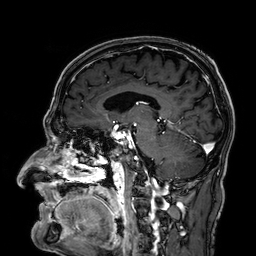
Q: What kind of scan is this?
A: 3 Tesla brain MRI.
Q: Series?
A: 3D T1-weighted.
Study: ring-enhancing brain masses.